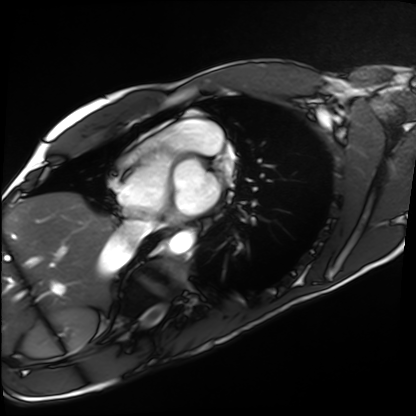
Cardiac MRI.
Subject group: healthy volunteer.